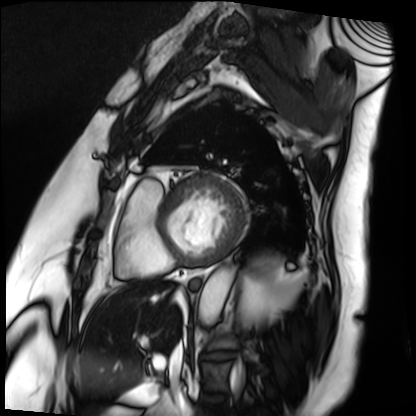
Cardiac MRI. Subject group: patient.